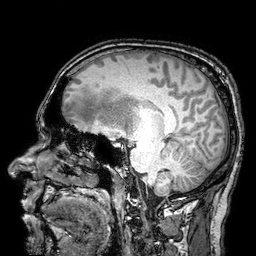
3 Tesla brain MRI. Series: 3D T1-weighted turbo field echo with SENSE. Study: ring-enhancing brain masses.